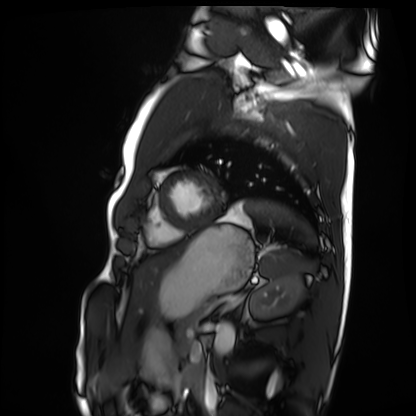
Cardiac MRI. Subject group: healthy volunteer.